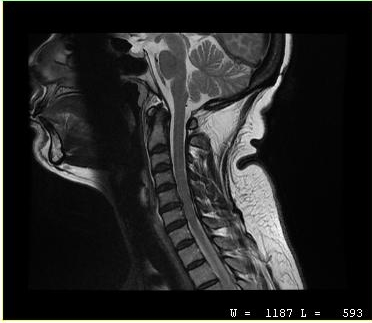
| field | value |
|---|---|
| modality | MRI of the cervical spine |
| study | cervical spondylosis |